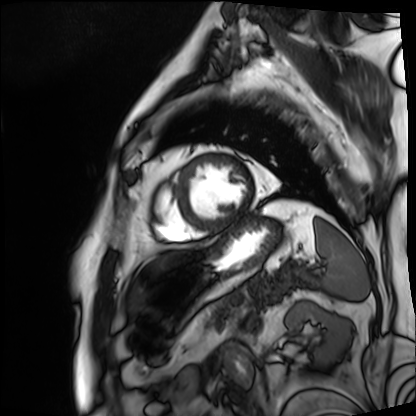
Cardiac MRI. Subject group: patient.